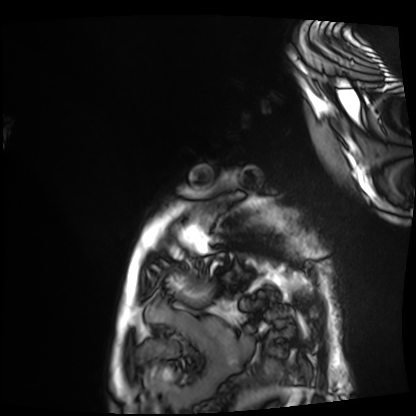
  modality: cardiac MRI
  cohort: patient